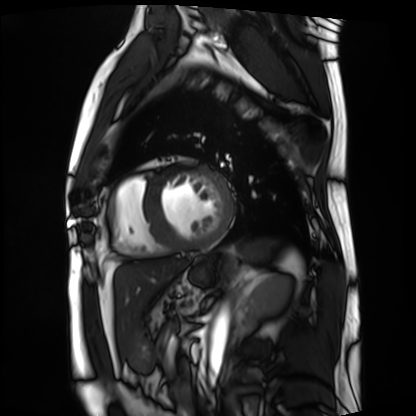
Cardiac MRI. Subject group: patient.